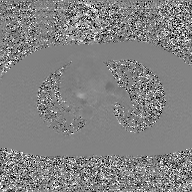
2D phase-contrast cine MRI of the ascending aorta, GAN super-resolution reconstruction.